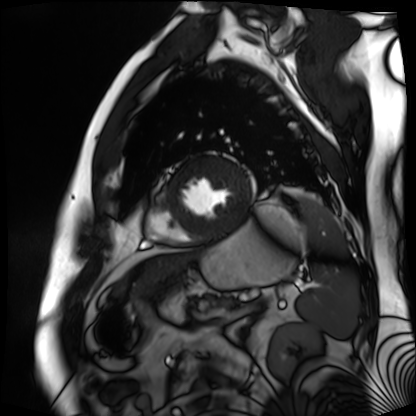
  modality: cardiac MR image of the myocardium
  cohort: cardiac patient